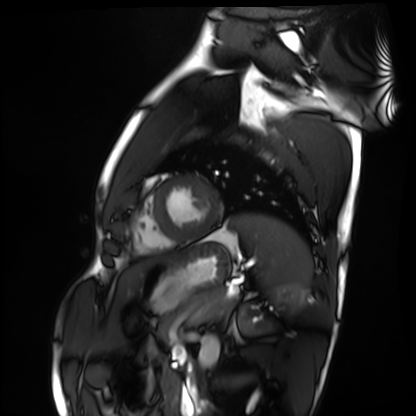
– modality — cardiac MRI
– subject group — healthy volunteer